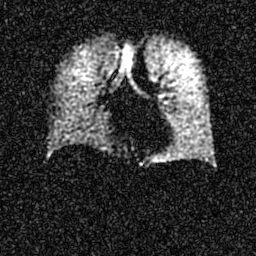
{"modality": "hyperpolarized 129Xe ventilation MRI of the lungs", "snr_level": "6 of 8 (the deposit holds this scan as its native image and as seven SNR-degraded versions)"}